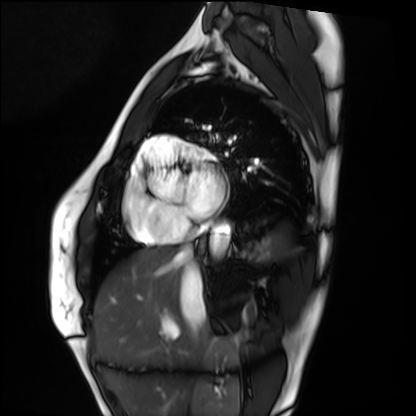
Summary: Cardiac MRI. Subject group: healthy volunteer.